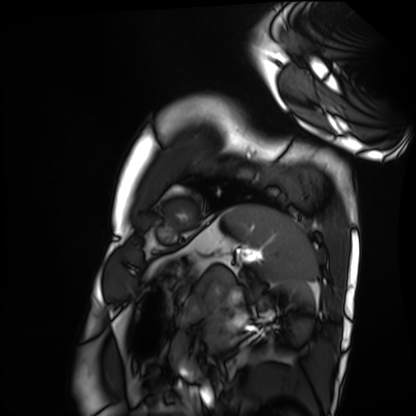
• modality — cardiac MRI
• subject group — healthy volunteer